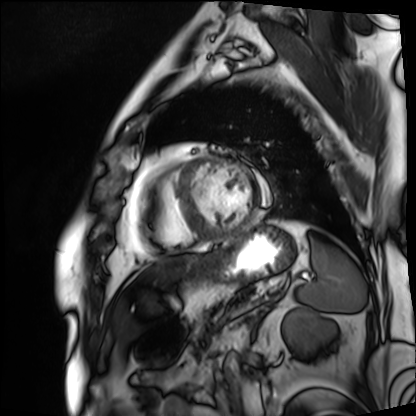
Cardiac MRI.
Subject group: patient.